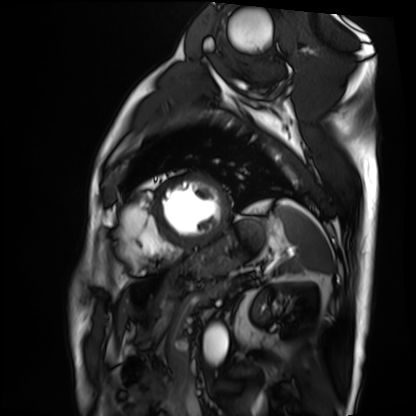
Cardiac MRI. Subject group: patient.